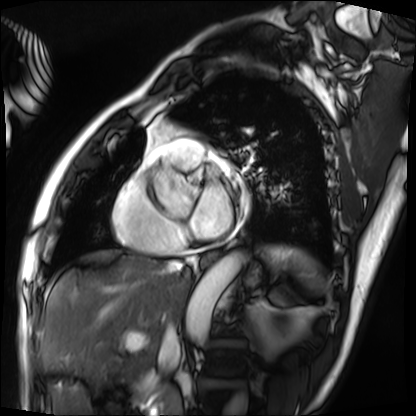
Cardiac MRI. Subject group: patient.